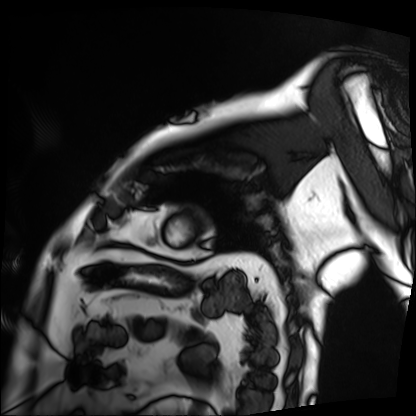
Cardiac MRI. Subject group: patient.